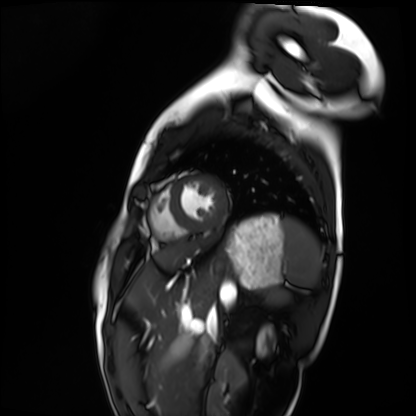
Cardiac MRI.
Subject group: healthy volunteer.